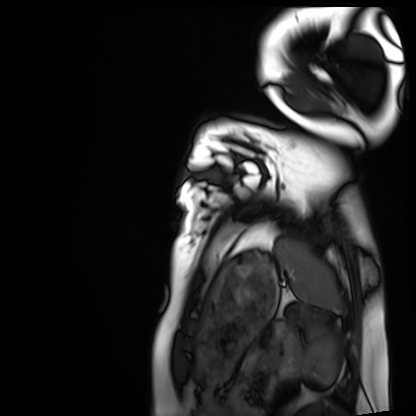
Summary: Cardiac MRI. Subject group: healthy volunteer.